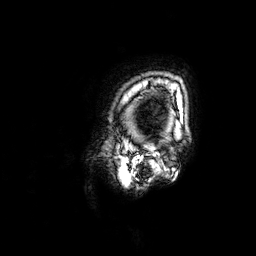
* modality · 3 Tesla brain MRI
* series · 3D T1-weighted
* study · ring-enhancing brain masses